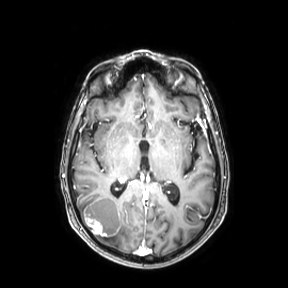
modality=3 Tesla brain MRI | series=axial | study=ring-enhancing brain masses.